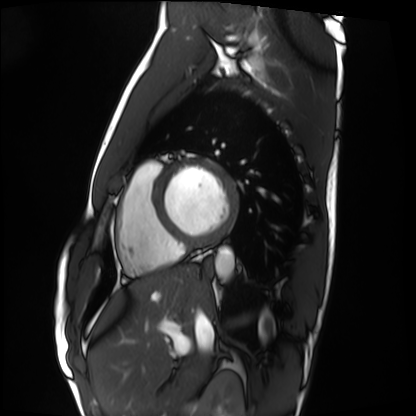
modality: cardiac MRI | subject group: healthy volunteer.